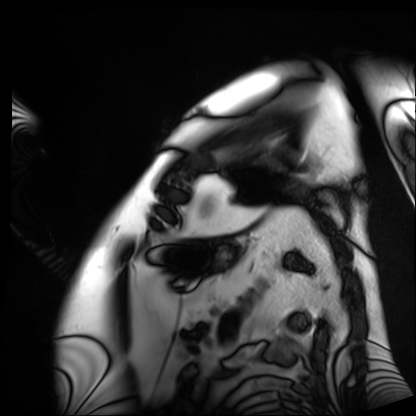
<study>
<modality>cardiac MRI</modality>
<cohort>patient</cohort>
</study>